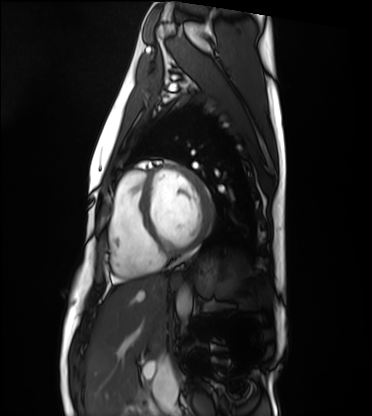
modality — cardiac MRI
subject group — healthy volunteer